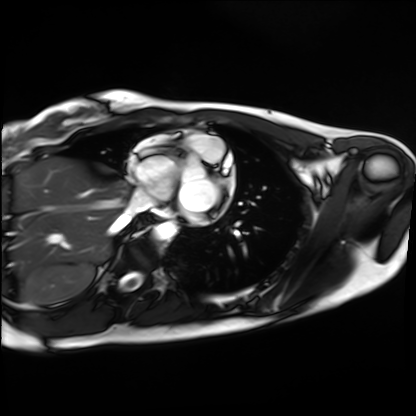
Q: What kind of scan is this?
A: Cardiac MRI.
Subject group: healthy volunteer.